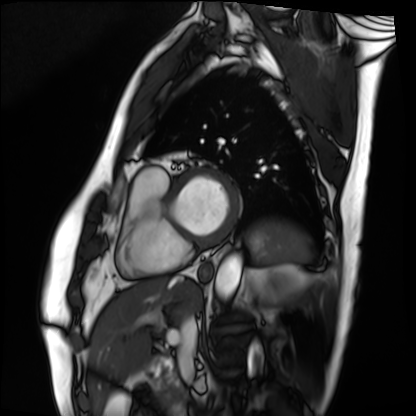
* modality · cardiac MRI
* subject group · patient